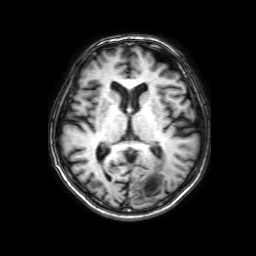
3 Tesla brain MRI. Series: 3D T1-weighted with SENSE. Study: ring-enhancing brain masses.